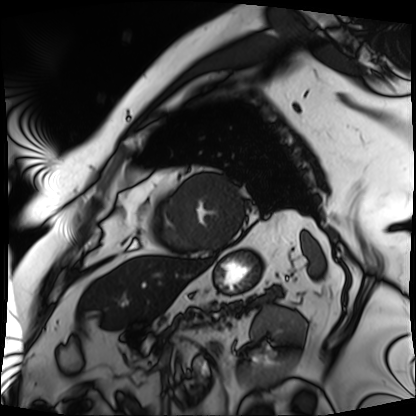
modality = cardiac MRI | subject group = patient.